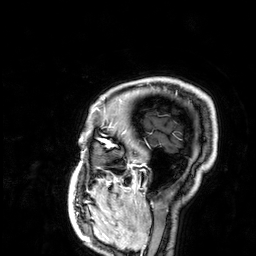
Case:
• modality · 3 Tesla brain MRI
• series · 3D T1-weighted
• study · ring-enhancing brain masses